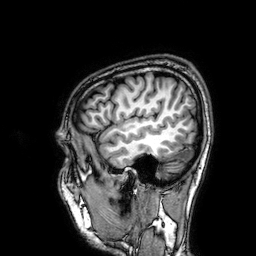
3 Tesla brain MRI. Series: 3D T1-weighted. Study: ring-enhancing brain masses.